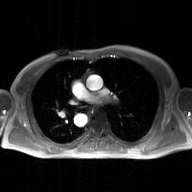
modality: 2D phase-contrast cine MRI of the ascending aorta, GAN super-resolution reconstruction